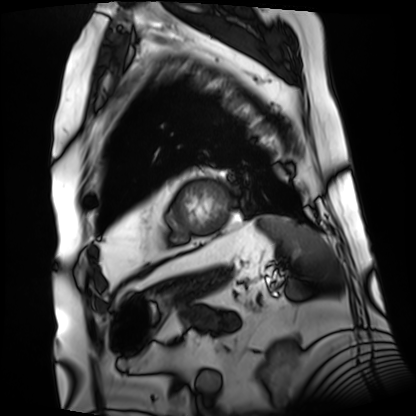
Case summary:
Cardiac MRI. Subject group: patient.